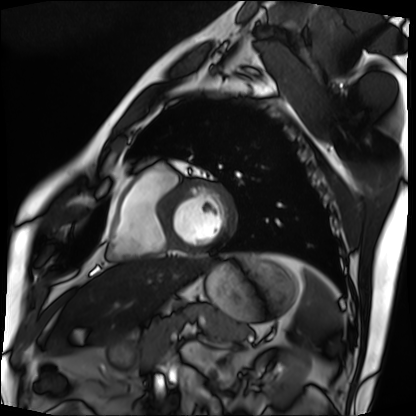
| field | value |
|---|---|
| modality | cardiac MRI |
| subject group | patient |